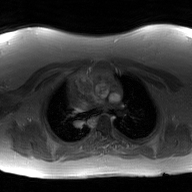
modality = 2D phase-contrast cine MRI of the ascending aorta, GAN super-resolution reconstruction.